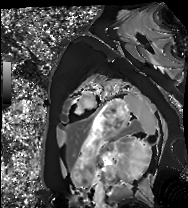
{
  "modality": "cardiac MRI",
  "cohort": "healthy volunteer"
}